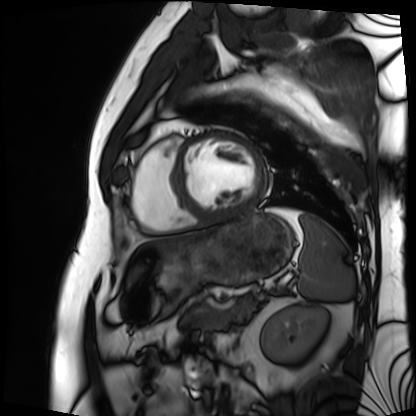
Cardiac MRI. Subject group: patient.